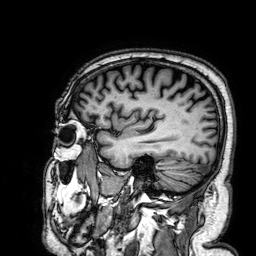
<case>
<modality>
  <type>brain MRI</type>
  <field_strength>3T</field_strength>
</modality>
<series>3D T1-weighted</series>
<study_topic>ring-enhancing brain masses</study_topic>
</case>